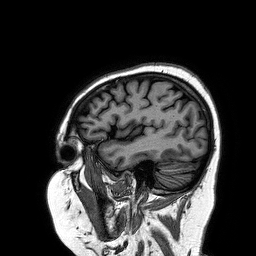
Summary: 3 Tesla brain MRI. Series: 3D T1-weighted turbo field echo. Study: ring-enhancing brain masses.